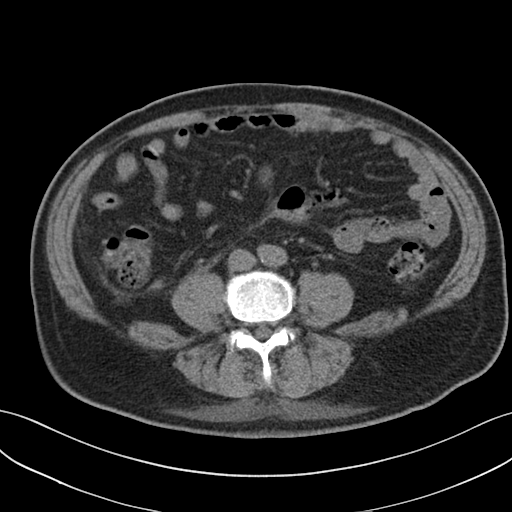
- modality — multiphase abdominal CT, liver, non-contrast phase
- patient — male, age 69